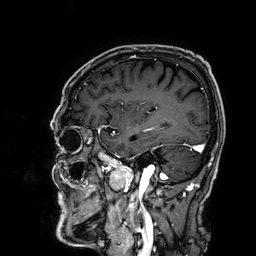
Summary: 3 Tesla brain MRI. Series: 3D T1-weighted. Study: ring-enhancing brain masses.